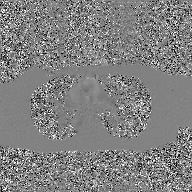
Case summary:
2D phase-contrast cine MRI of the ascending aorta, GAN super-resolution reconstruction.